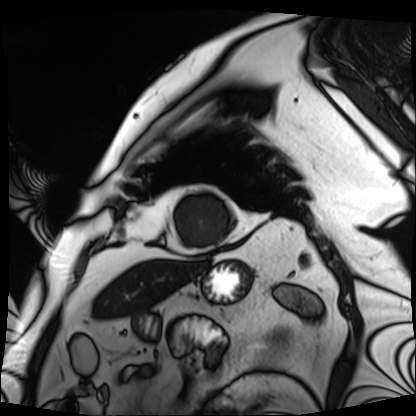
modality: cardiac MRI; subject group: patient.